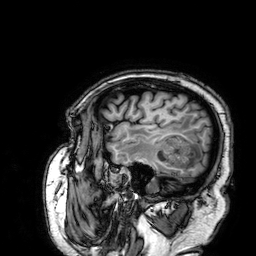
modality = 3 Tesla brain MRI | series = 3D T1-weighted | study = ring-enhancing brain masses.